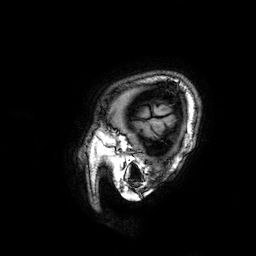
3 Tesla brain MRI.
Series: 3D T1-weighted.
Study: ring-enhancing brain masses.